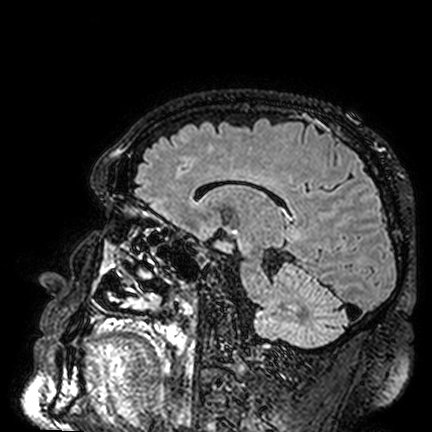
Q: What kind of scan is this?
A: 3 Tesla brain MRI.
Q: Series?
A: FLAIR VISTA.
Study: ring-enhancing brain masses.